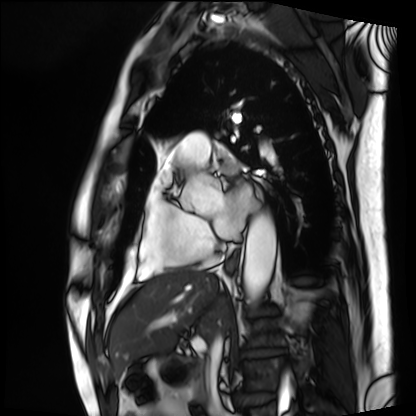
- modality · cardiac MRI
- subject group · patient